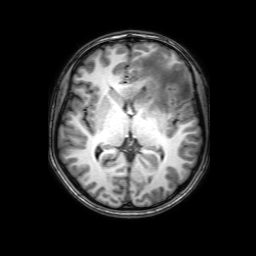
Summary:
3 Tesla brain MRI. Series: 3D T1-weighted with SENSE. Study: ring-enhancing brain masses.